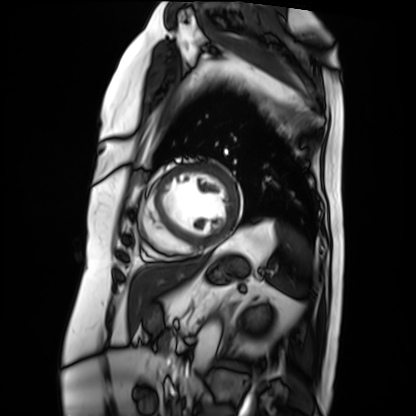
Summary:
Cardiac MRI. Subject group: patient.